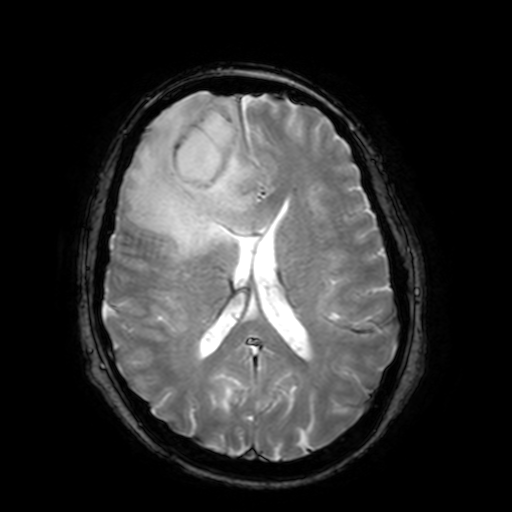
Summary: 3 Tesla brain MRI. Series: T2-weighted fast field echo with SENSE. Study: ring-enhancing brain masses.